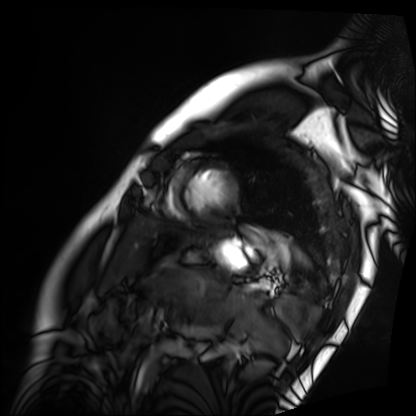
Summary: Cardiac MRI. Subject group: patient.